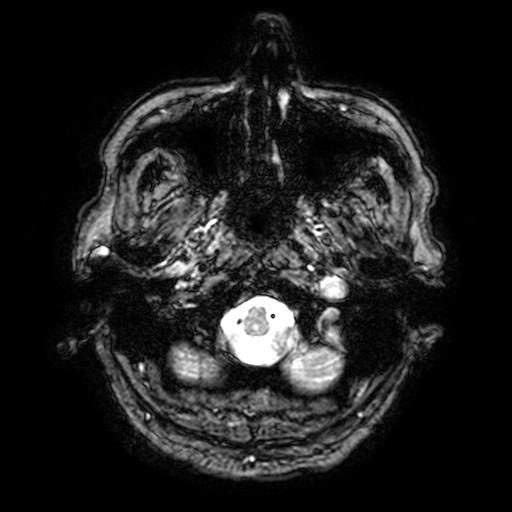
{"modality": {"type": "brain MRI", "field_strength": "3T"}, "series": "T2-weighted fast field echo with SENSE", "study_topic": "ring-enhancing brain masses"}